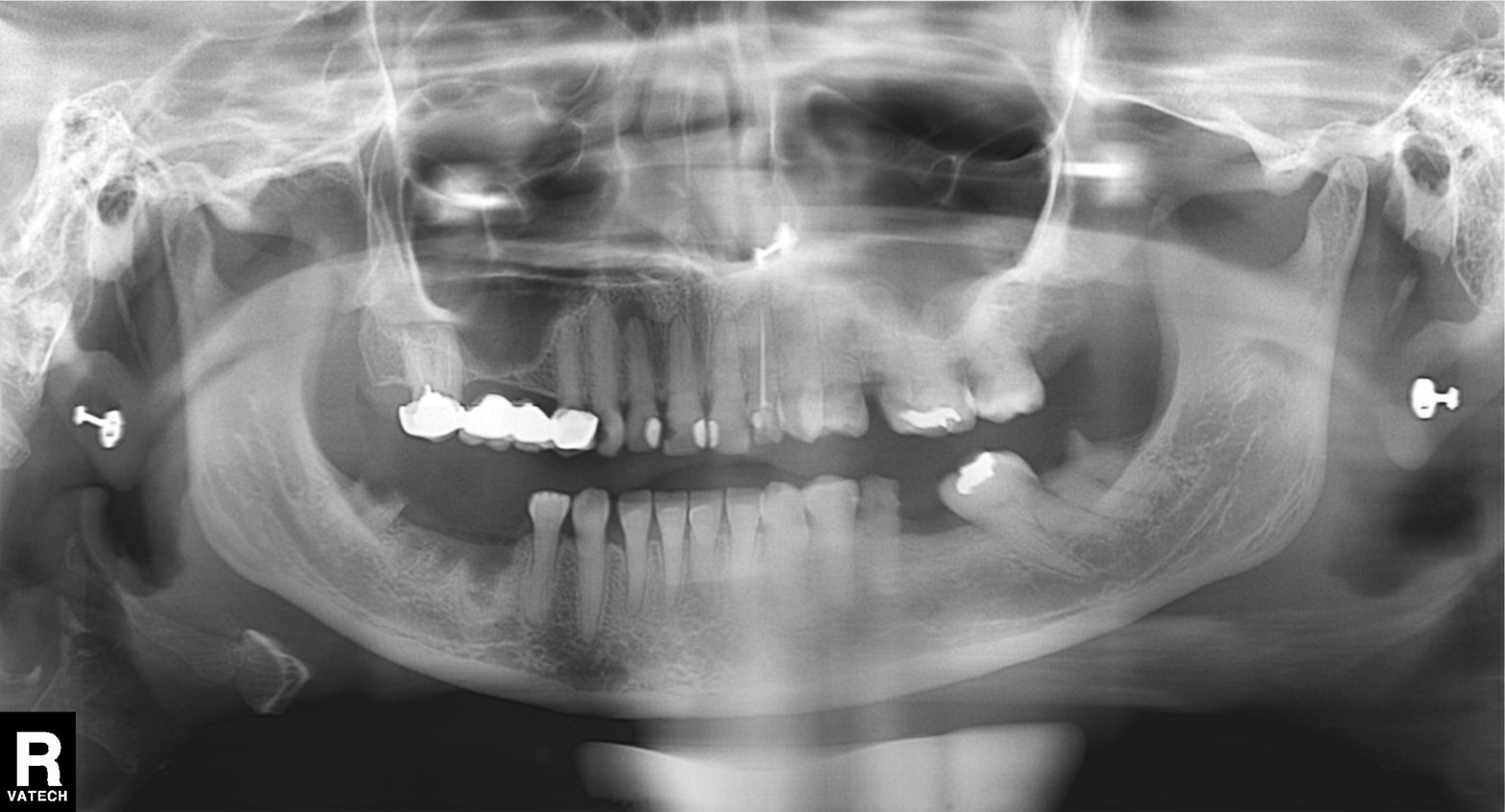
Q: What kind of scan is this?
A: Panoramic dental radiograph (orthopantomogram).
Q: What is the radiographic finding?
A: Alveolar bone loss.